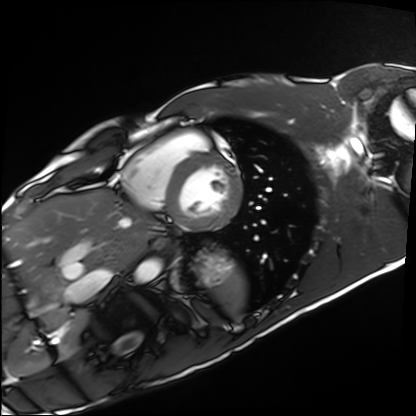
Cardiac MRI. Subject group: healthy volunteer.